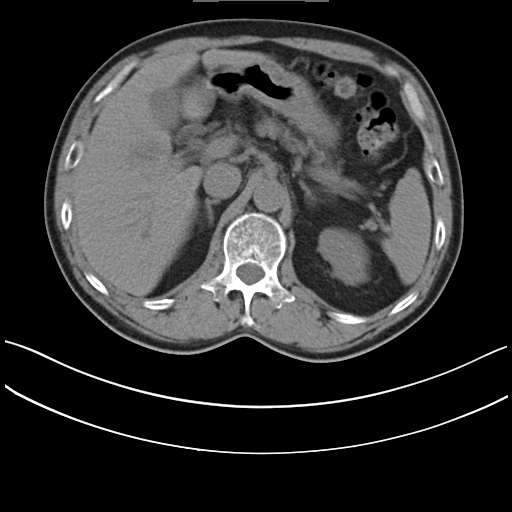
Summary:
Multiphase abdominal CT, liver, non-contrast phase. Patient: male, age 59.